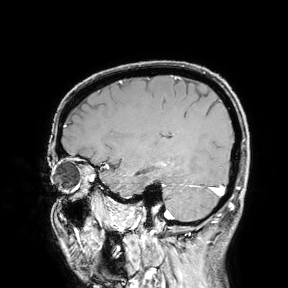
<study>
  <modality>
    <type>brain MRI</type>
    <field_strength>3T</field_strength>
  </modality>
  <study_topic>ring-enhancing brain masses</study_topic>
</study>